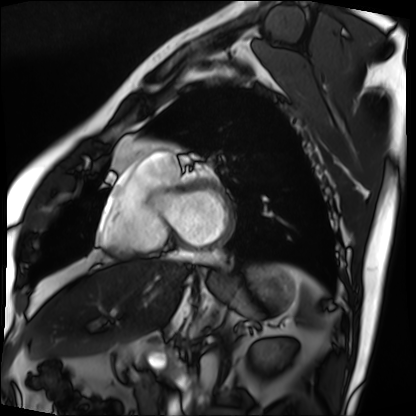
Summary:
Cardiac MRI. Subject group: patient.